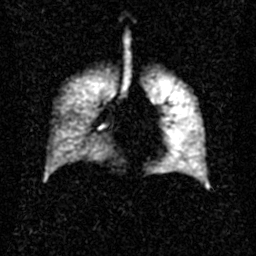
modality — hyperpolarized 129Xe ventilation MRI of the lungs
SNR level — 2 of 8 (the deposit holds this scan as its native image and as seven SNR-degraded versions)